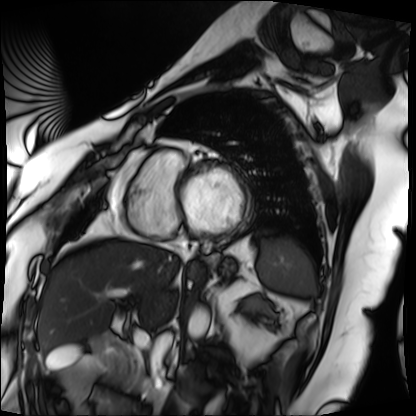
Cardiac MRI.
Subject group: patient.